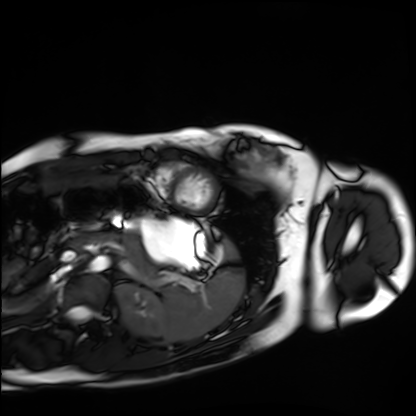
Cardiac MRI. Subject group: healthy volunteer.